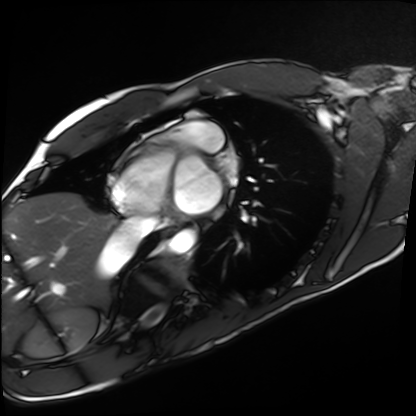
Cardiac MRI. Subject group: healthy volunteer.